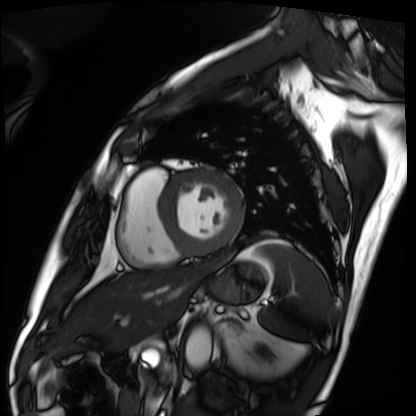
modality: cardiac MRI, subject group: patient.